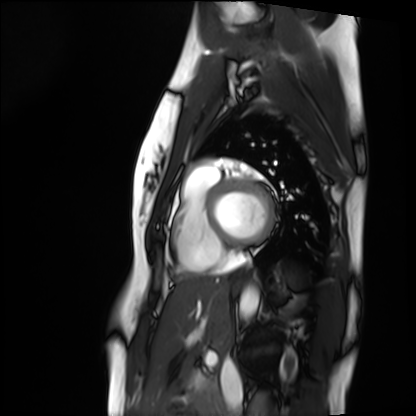
Cardiac MRI.
Subject group: healthy volunteer.